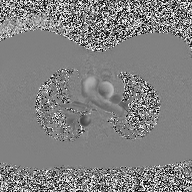
2D phase-contrast cine MRI of the ascending aorta, high-resolution GRAPPA acquisition.